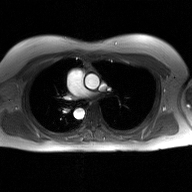
2D phase-contrast cine MRI of the ascending aorta, GAN super-resolution reconstruction.